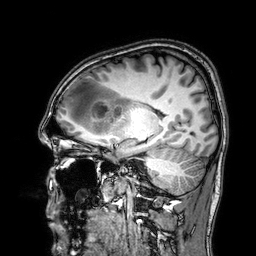
Q: What kind of scan is this?
A: 3 Tesla brain MRI.
Q: Series?
A: 3D T1-weighted.
Study: ring-enhancing brain masses.